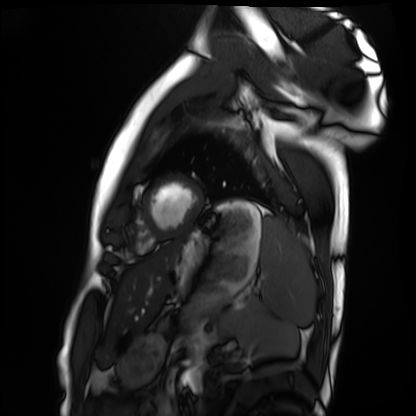
Cardiac MRI.
Subject group: healthy volunteer.